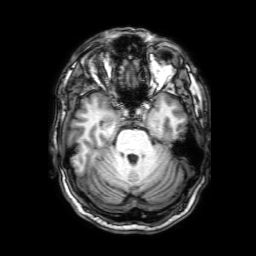
modality:
  type: brain MRI
  field_strength: 3T
series: 3D T1-weighted with SENSE
study_topic: ring-enhancing brain masses